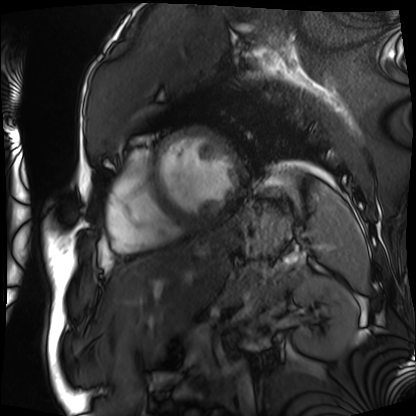
{
  "modality": "cardiac MRI",
  "cohort": "patient"
}